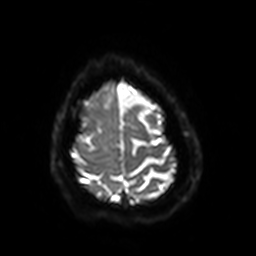
3 Tesla brain MRI. Series: diffusion-weighted imaging with SENSE (WIP). Study: ring-enhancing brain masses.